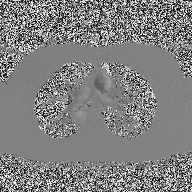
2D phase-contrast cine MRI of the ascending aorta, high-resolution GRAPPA acquisition.